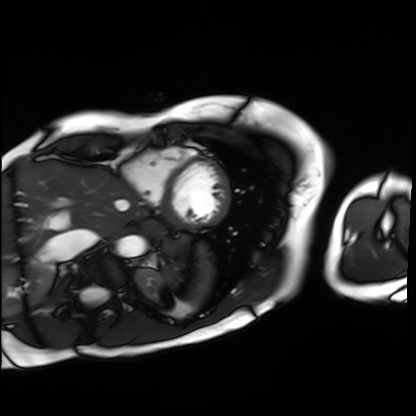
{
  "modality": "cardiac MRI",
  "cohort": "patient"
}